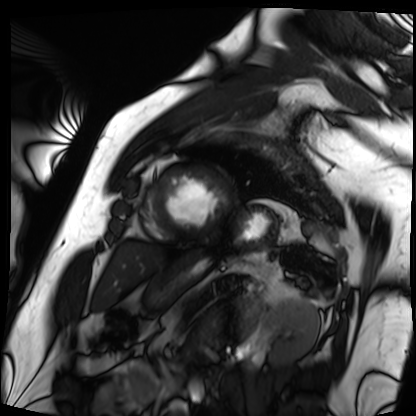
Cardiac MRI. Subject group: patient.